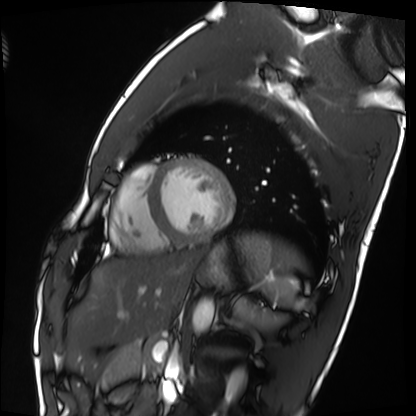
<scan>
  <modality>cardiac MRI</modality>
  <cohort>healthy volunteer</cohort>
</scan>